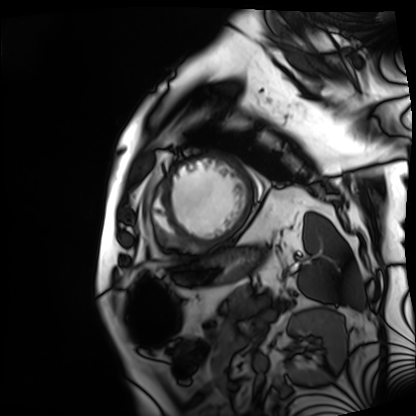
| field | value |
|---|---|
| modality | cardiac MRI |
| subject group | patient |